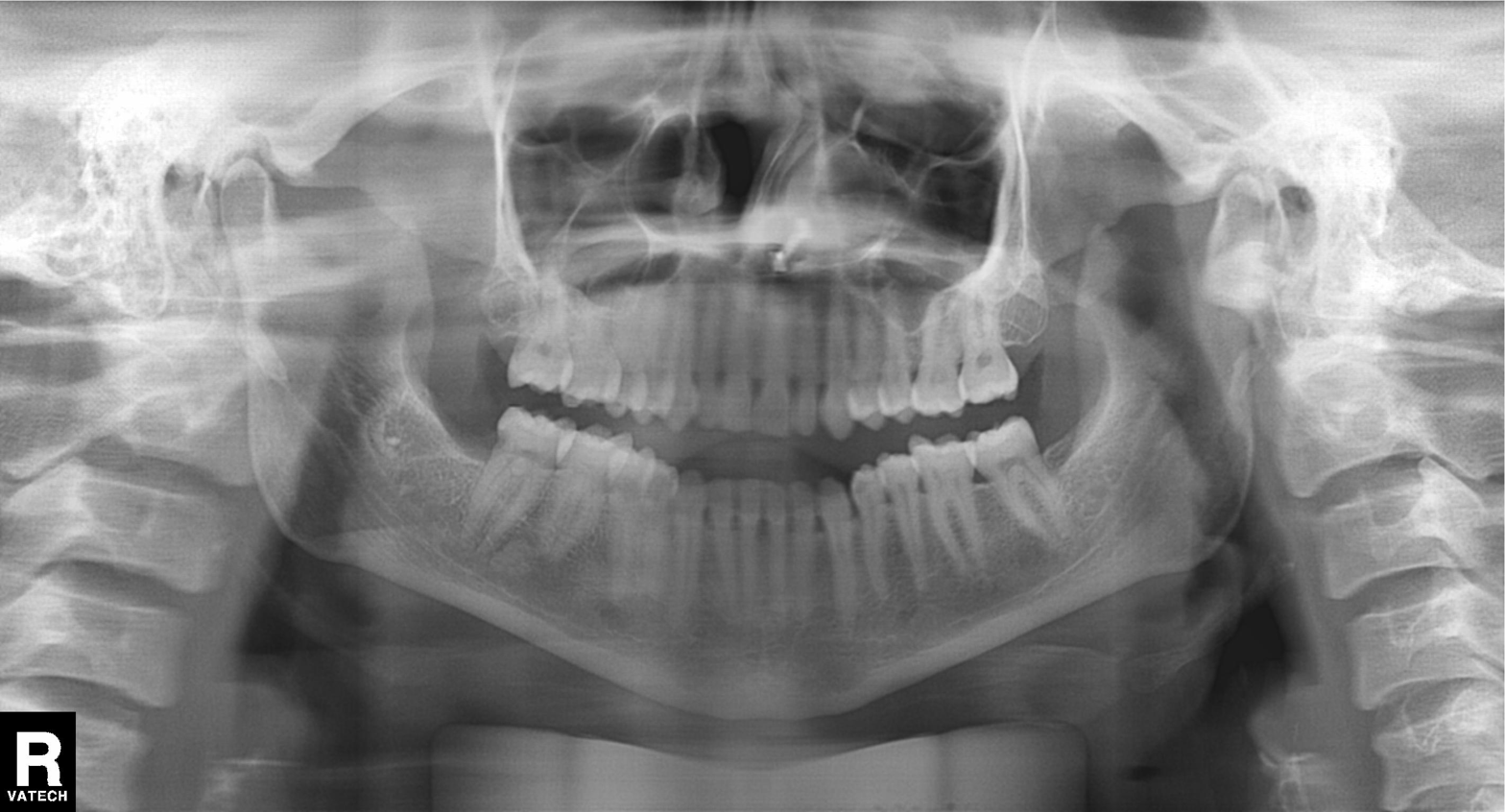
{
  "modality": "panoramic dental radiograph (orthopantomogram)",
  "finding": "tooth impaction"
}